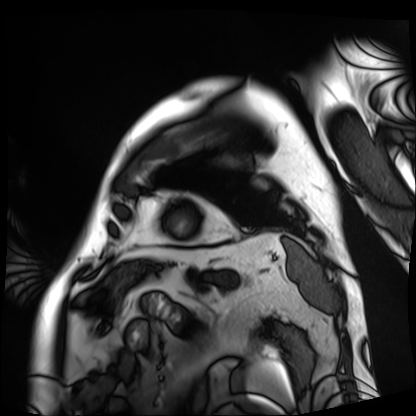
{"modality": "cardiac MRI", "cohort": "patient"}